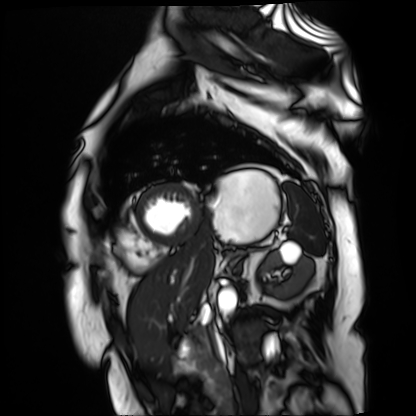
Summary:
Cardiac MR image of the myocardium. Subject cohort: cardiac patient.